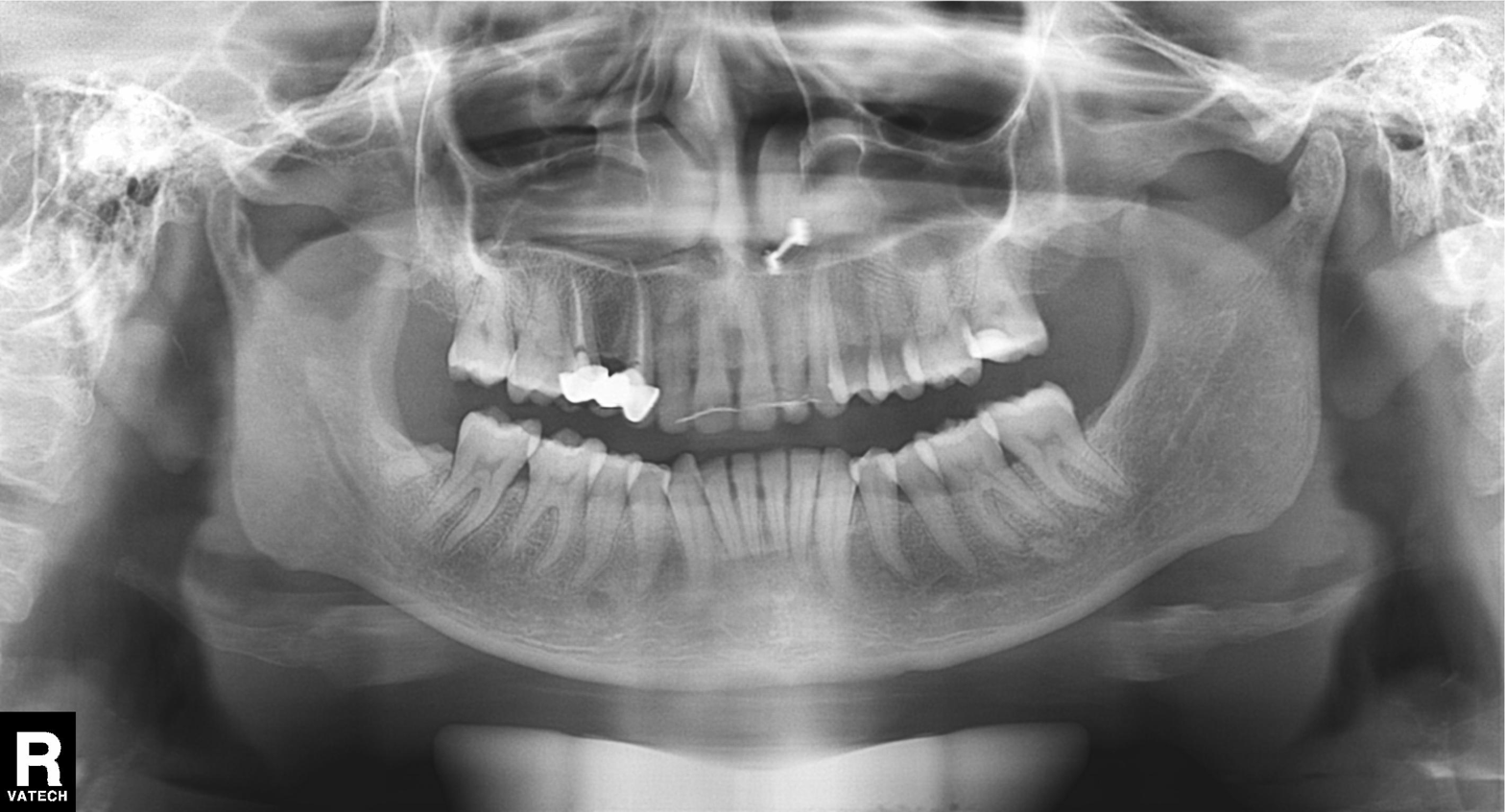
modality: panoramic dental radiograph (orthopantomogram)
finding: tooth impaction